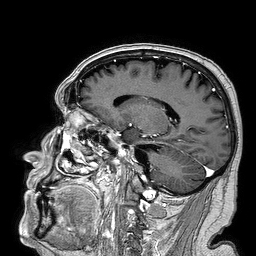
3 Tesla brain MRI. Series: 3D T1-weighted turbo field echo. Study: ring-enhancing brain masses.